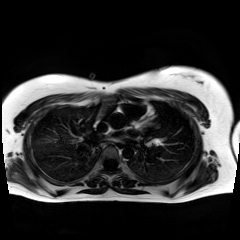
Chemical-shift-encoded cardiac MRI.